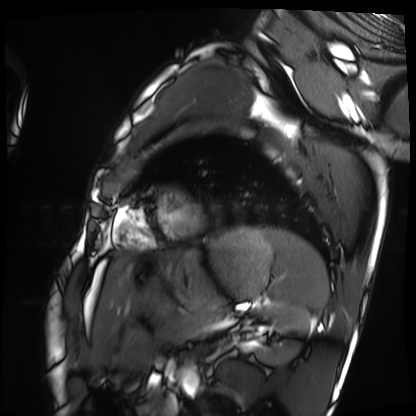
Case summary:
Cardiac MRI. Subject group: healthy volunteer.